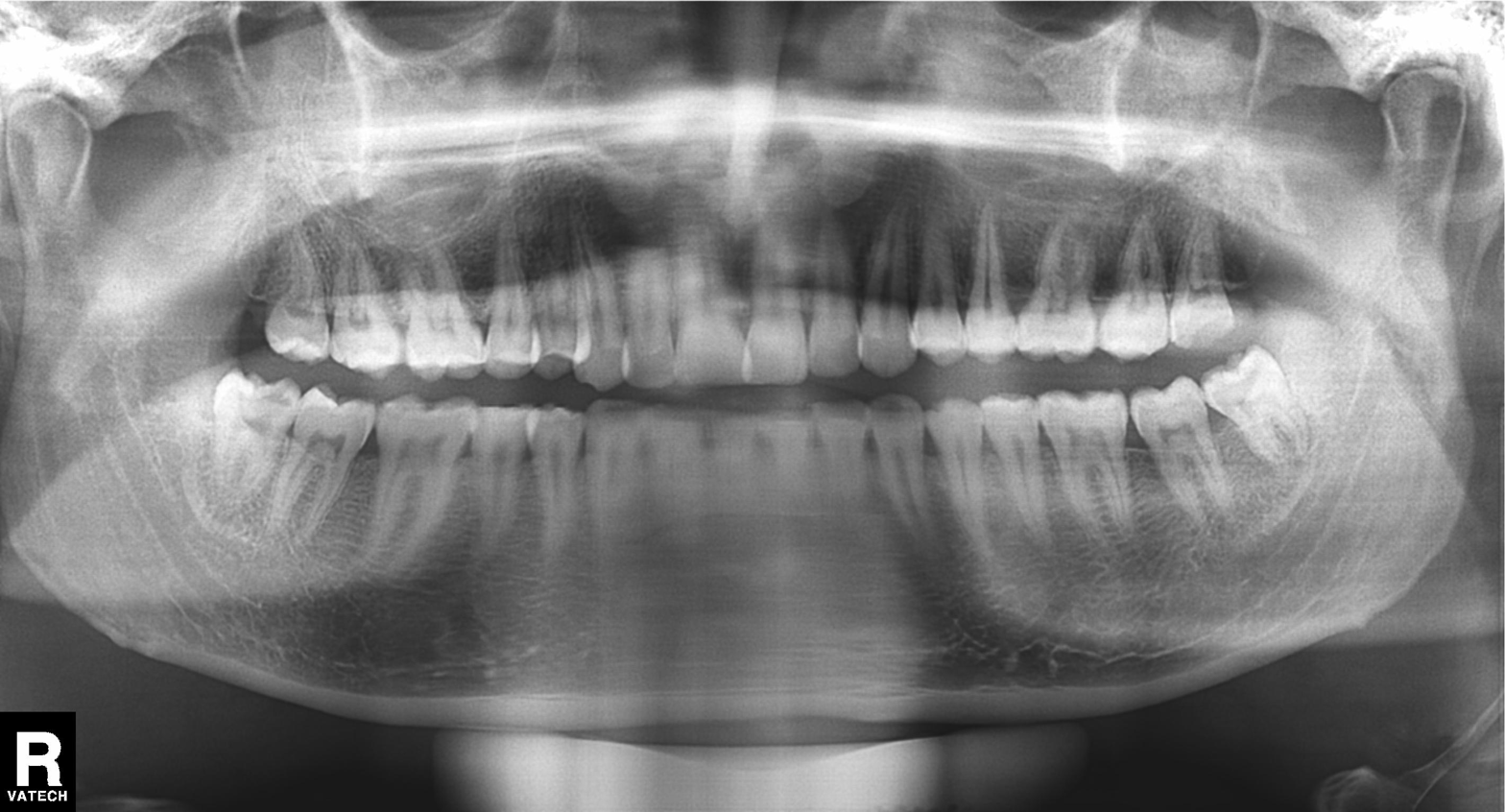
Findings:
* modality: panoramic dental radiograph (orthopantomogram)
* finding: alveolar bone loss